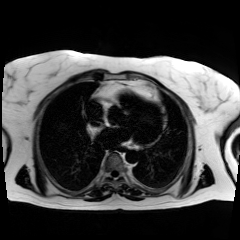
Summary:
Chemical-shift-encoded cardiac MRI.